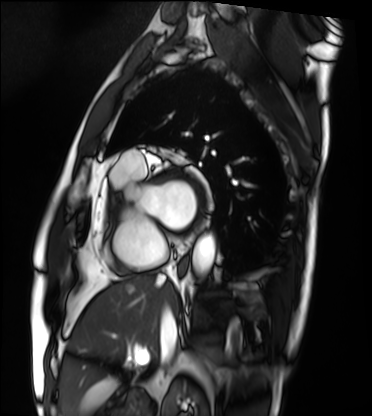
modality = cardiac MRI | subject group = patient.